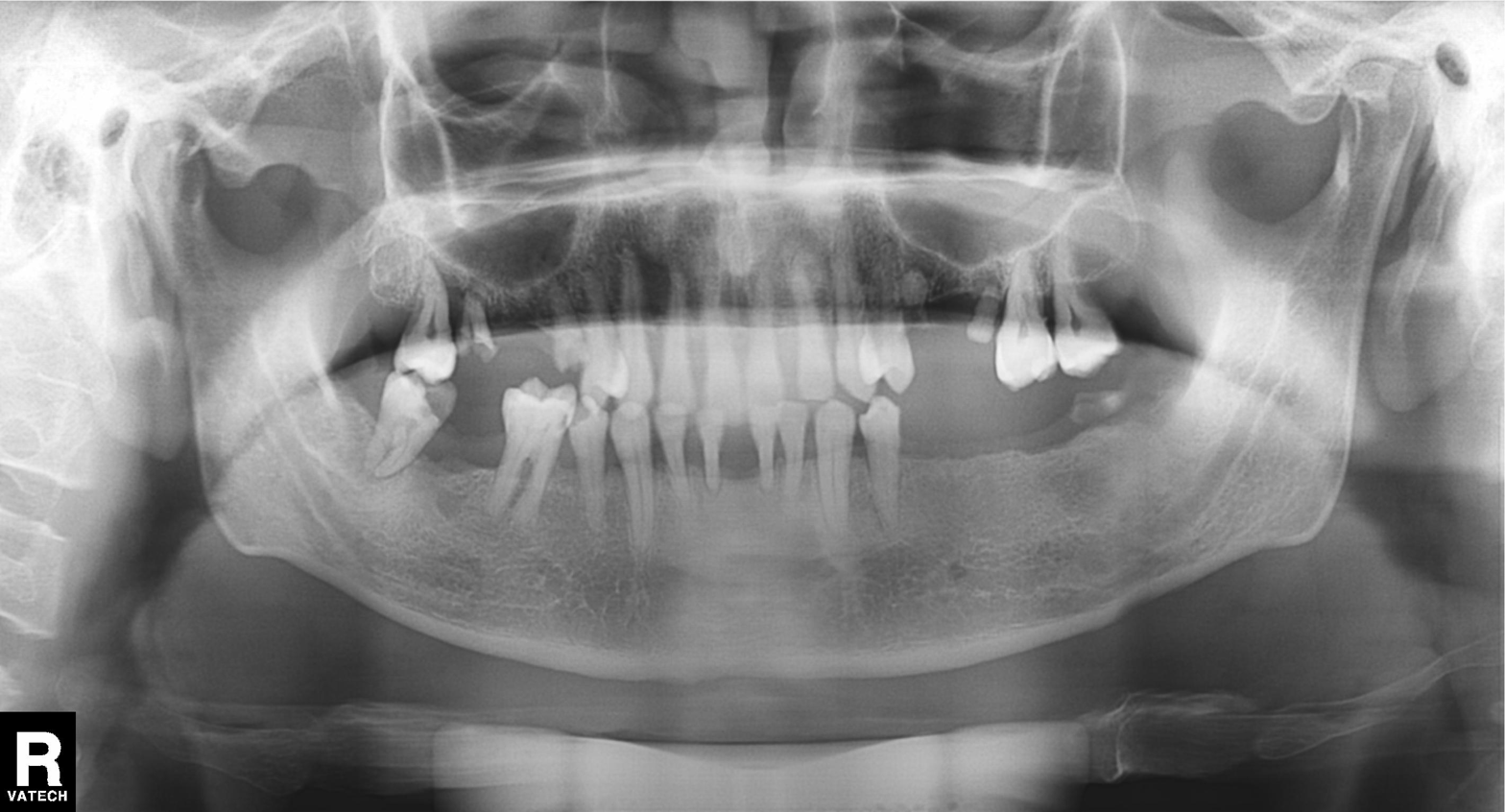
modality: panoramic dental radiograph (orthopantomogram)
finding: tooth impaction